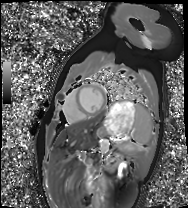
Cardiac MRI. Subject group: healthy volunteer.